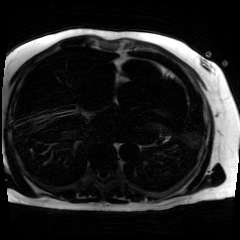
Summary:
Chemical-shift-encoded cardiac MRI.